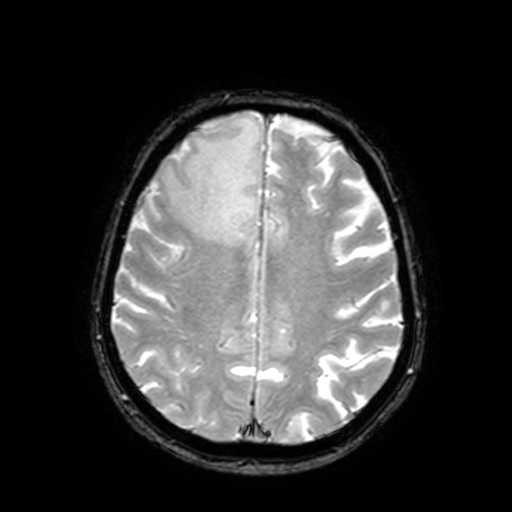
3 Tesla brain MRI.
Series: T2-weighted fast field echo with SENSE.
Study: ring-enhancing brain masses.